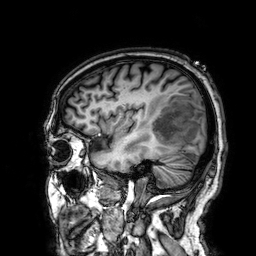
modality: 3 Tesla brain MRI
series: 3D T1-weighted
study: ring-enhancing brain masses